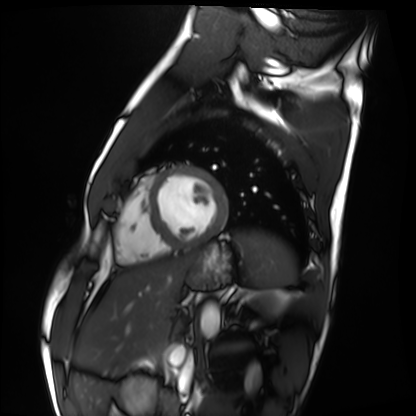
Cardiac MRI. Subject group: healthy volunteer.